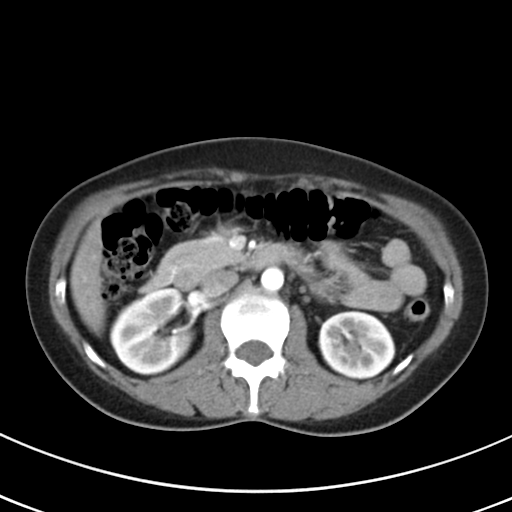
Multiphase abdominal CT, liver, arterial phase. Patient: female, age 43.